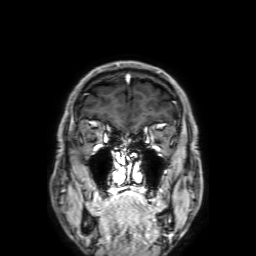
Summary:
3 Tesla brain MRI. Series: 3D T1-weighted with SENSE. Study: ring-enhancing brain masses.